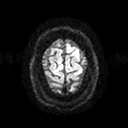
3 Tesla brain MRI. Series: diffusion tensor imaging (medium iso). Study: ring-enhancing brain masses.